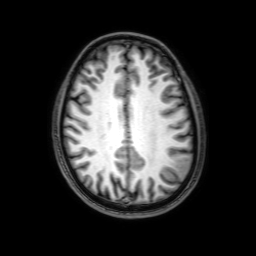
Case:
– modality — 3 Tesla brain MRI
– series — 3D T1-weighted with SENSE
– study — ring-enhancing brain masses